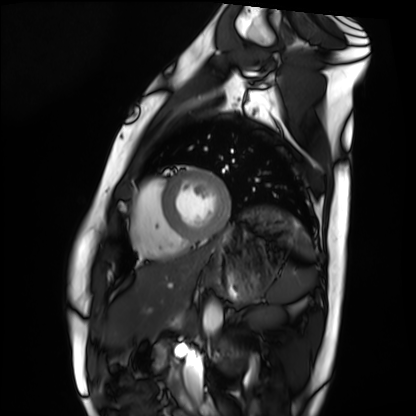
Case summary:
Cardiac MRI. Subject group: healthy volunteer.